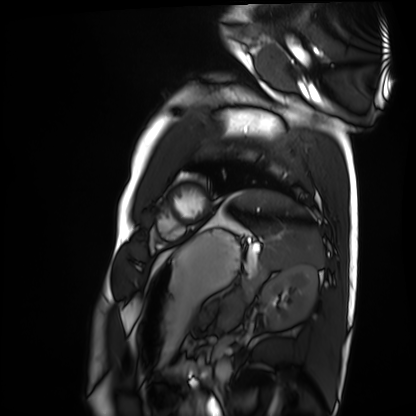
Cardiac MRI. Subject group: healthy volunteer.